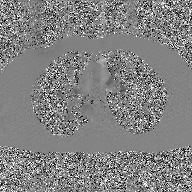
| field | value |
|---|---|
| modality | 2D phase-contrast cine MRI of the ascending aorta, GAN super-resolution reconstruction |